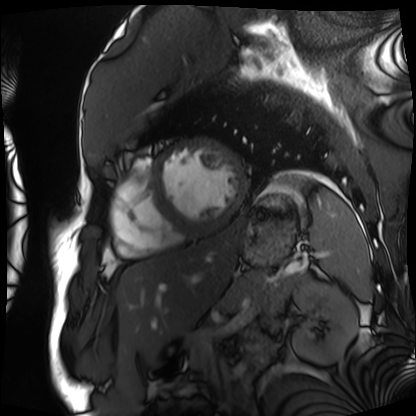
<case>
<modality>cardiac MRI</modality>
<cohort>patient</cohort>
</case>